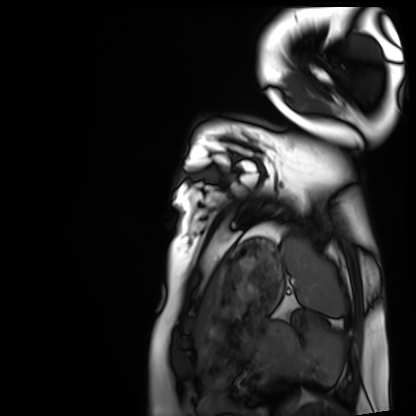
  modality: cardiac MRI
  cohort: healthy volunteer